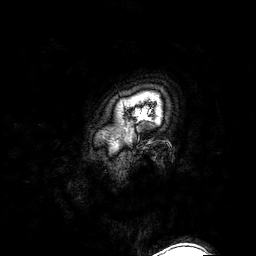
Summary:
3 Tesla brain MRI. Series: 3D T1-weighted turbo field echo with SENSE. Study: ring-enhancing brain masses.